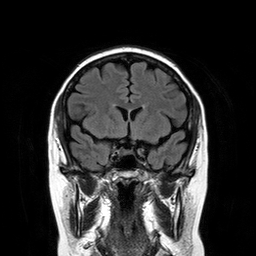
modality: 3 Tesla brain MRI; series: T2-weighted FLAIR; study: ring-enhancing brain masses.